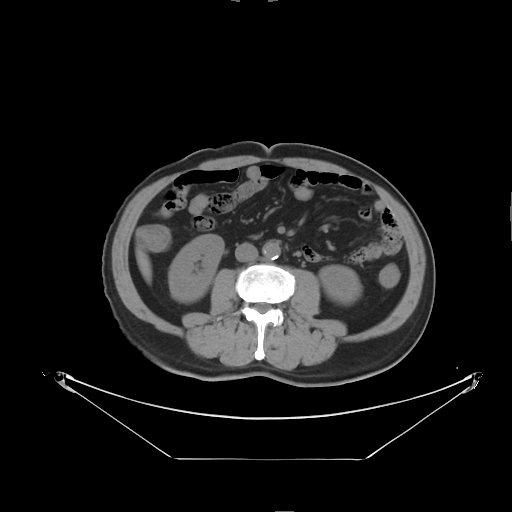
Multiphase abdominal CT, liver, non-contrast phase.
Patient: male, age 64.
History: prior chemotherapy.